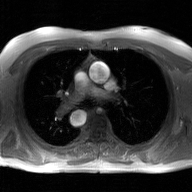
Q: What kind of scan is this?
A: 2D phase-contrast cine MRI of the ascending aorta, GAN super-resolution reconstruction.